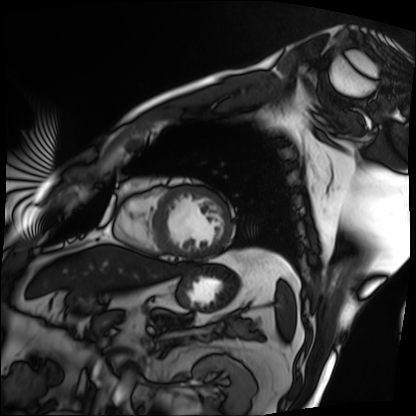
Case summary: Cardiac MRI. Subject group: patient.